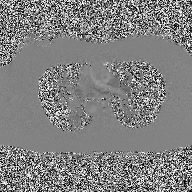
Summary:
2D phase-contrast cine MRI of the ascending aorta, high-resolution GRAPPA acquisition.